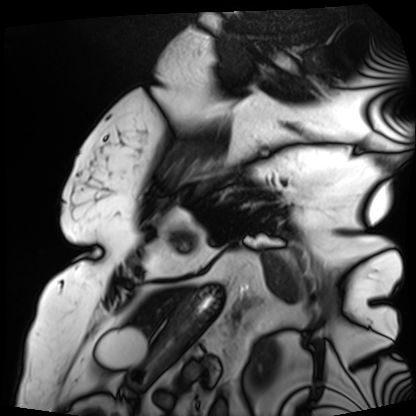
Summary:
Cardiac MRI. Subject group: patient.